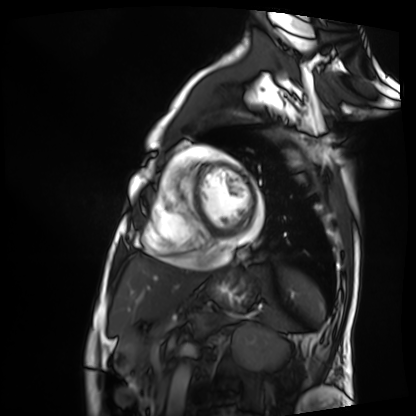
Summary:
Cardiac MRI. Subject group: patient.